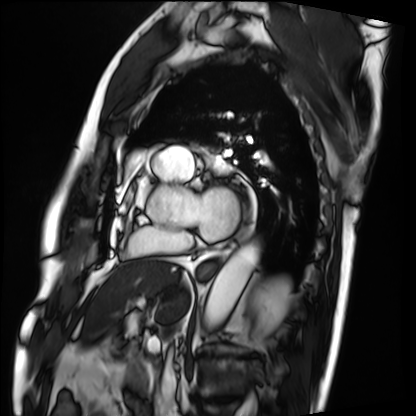
modality: cardiac MRI; subject group: patient.